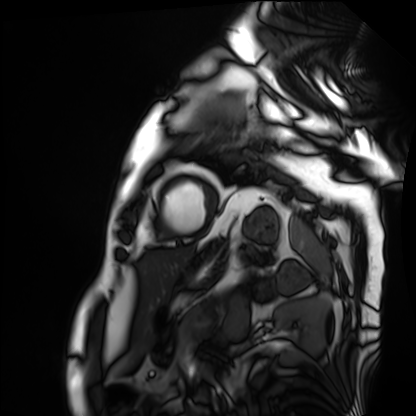
modality=cardiac MRI
subject group=patient